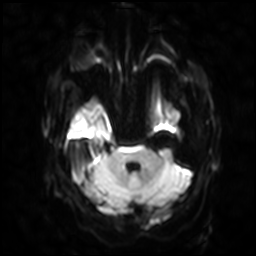
modality = 3 Tesla brain MRI
series = diffusion-weighted imaging with SENSE (WIP)
study = ring-enhancing brain masses